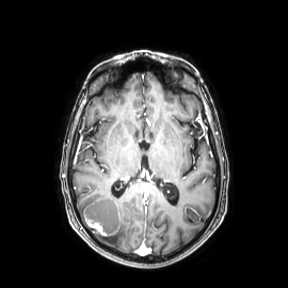
3 Tesla brain MRI. Series: axial. Study: ring-enhancing brain masses.